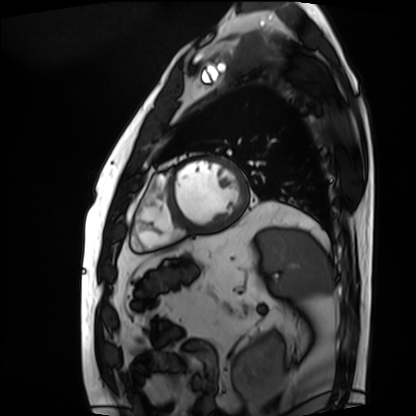
Summary:
Cardiac MRI. Subject group: patient.